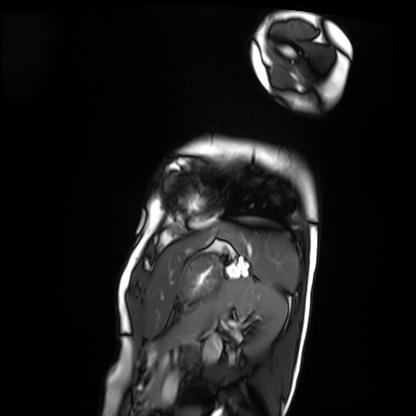
modality: cardiac MRI; subject group: patient.